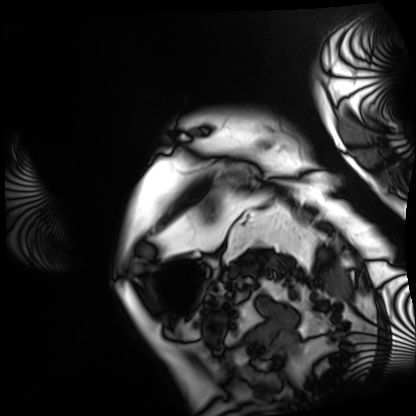
Q: What kind of scan is this?
A: Cardiac MRI.
Subject group: patient.